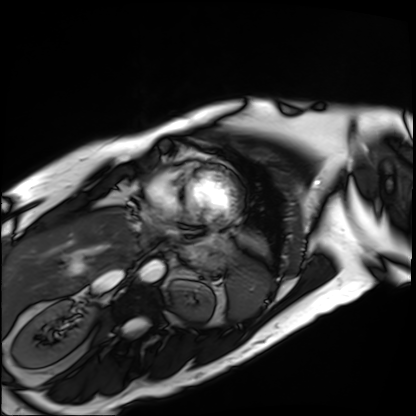
Case summary:
Cardiac MRI. Subject group: patient.